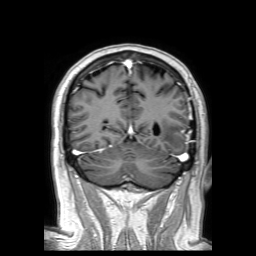
modality=3 Tesla brain MRI
series=3D T1-weighted TFE with SENSE
study=ring-enhancing brain masses